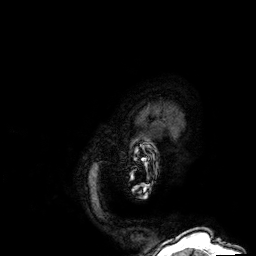
3 Tesla brain MRI. Series: 3D T1-weighted. Study: ring-enhancing brain masses.